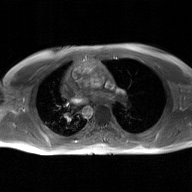
2D phase-contrast cine MRI of the ascending aorta, GAN super-resolution reconstruction.